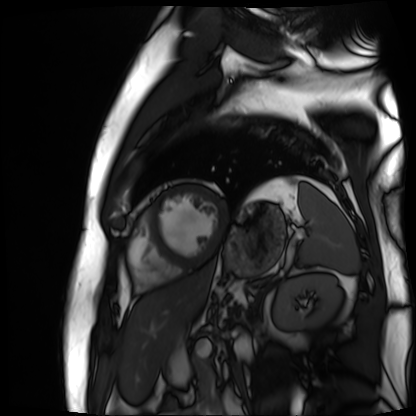
Summary:
Cardiac MR image of the myocardium. Subject cohort: cardiac patient.